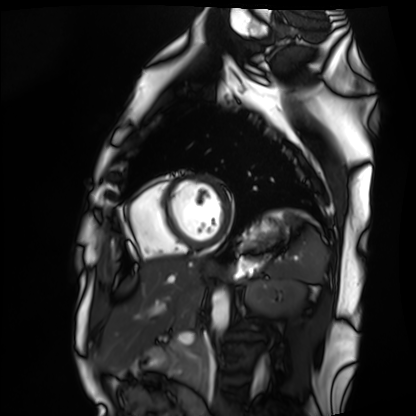
{"modality": "cardiac MRI", "cohort": "healthy volunteer"}